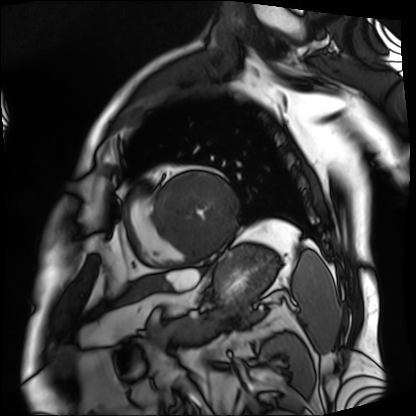
  modality: cardiac MRI
  cohort: patient